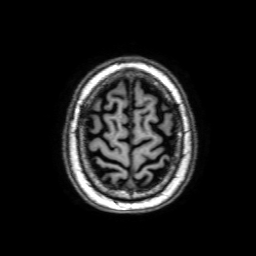
Case summary:
3 Tesla brain MRI. Series: 3D T1-weighted with SENSE. Study: ring-enhancing brain masses.